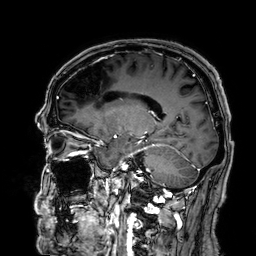
Case:
- modality: 3 Tesla brain MRI
- series: 3D T1-weighted
- study: ring-enhancing brain masses